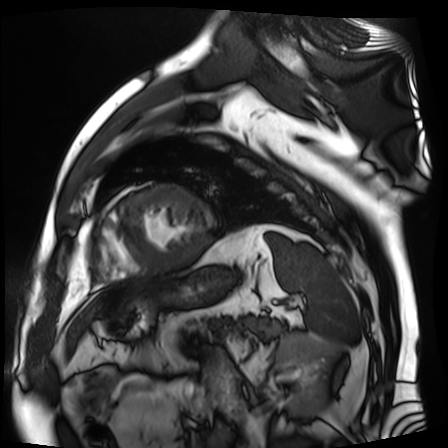
Summary:
Cardiac MR image of the myocardium. Subject cohort: cardiac patient.